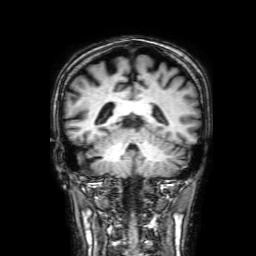
{
  "modality": {
    "type": "brain MRI",
    "field_strength": "3T"
  },
  "series": "3D T1-weighted with SENSE",
  "study_topic": "ring-enhancing brain masses"
}